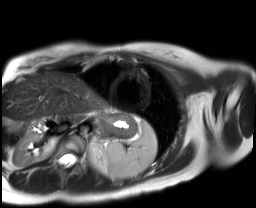
Summary:
Cardiac MR image of the myocardium. Subject cohort: healthy volunteer.